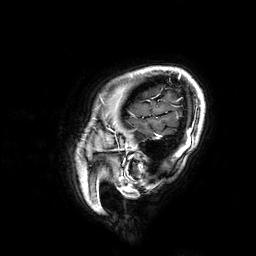
| field | value |
|---|---|
| modality | 3 Tesla brain MRI |
| series | 3D T1-weighted |
| study | ring-enhancing brain masses |